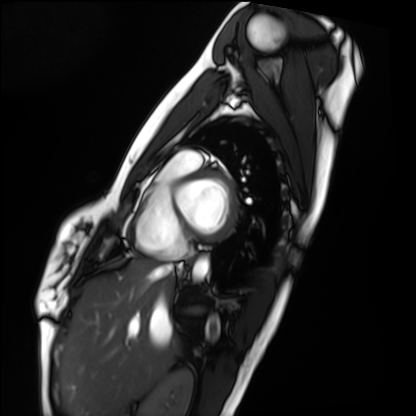
Cardiac MRI. Subject group: healthy volunteer.